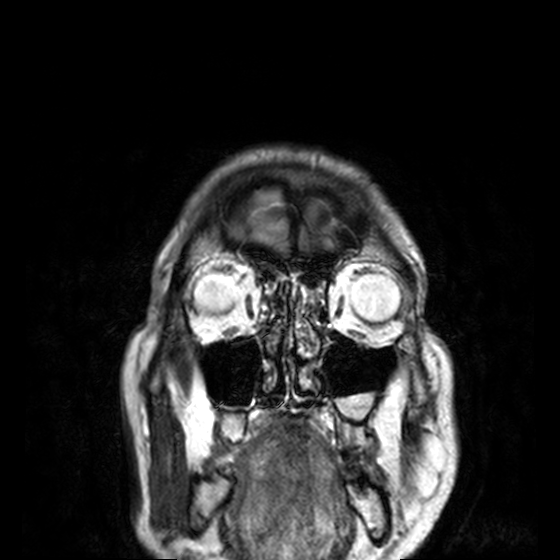
Case summary:
3 Tesla brain MRI. Series: T2-weighted turbo spin echo, 3 mm. Study: ring-enhancing brain masses.